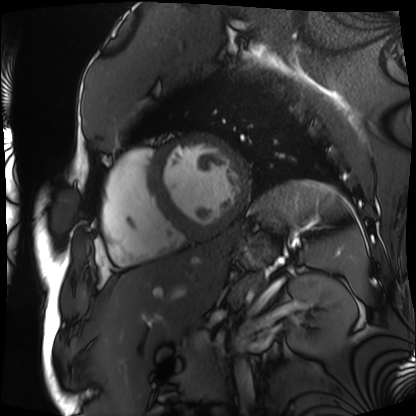
Cardiac MRI.
Subject group: patient.